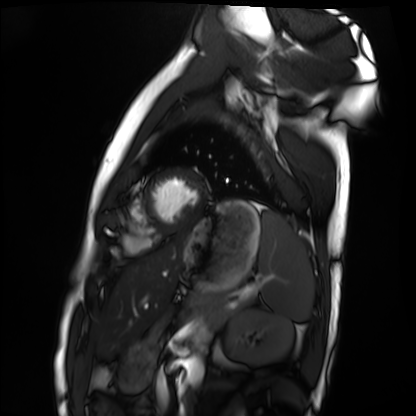
Cardiac MRI.
Subject group: healthy volunteer.